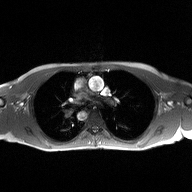
modality = 2D phase-contrast cine MRI of the ascending aorta